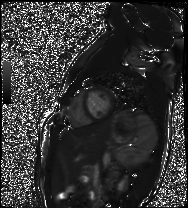
modality = cardiac MR image of the myocardium; subject cohort = healthy volunteer.